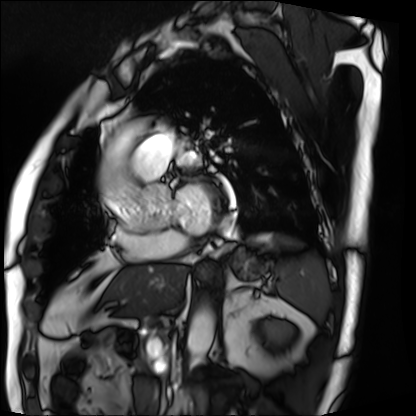
modality = cardiac MRI, subject group = patient.